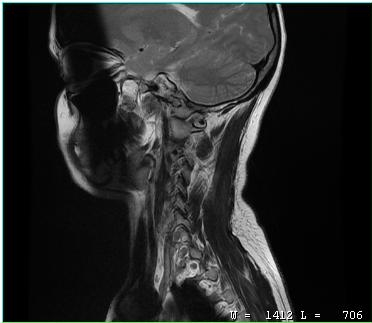
MRI of the cervical spine. Study: cervical spondylosis.